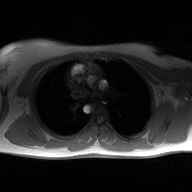
2D phase-contrast cine MRI of the ascending aorta, high-resolution GRAPPA acquisition.